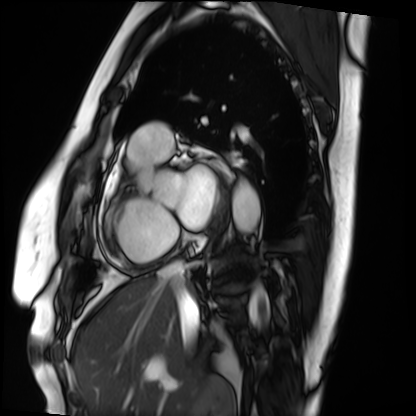
Case:
– modality · cardiac MRI
– subject group · patient